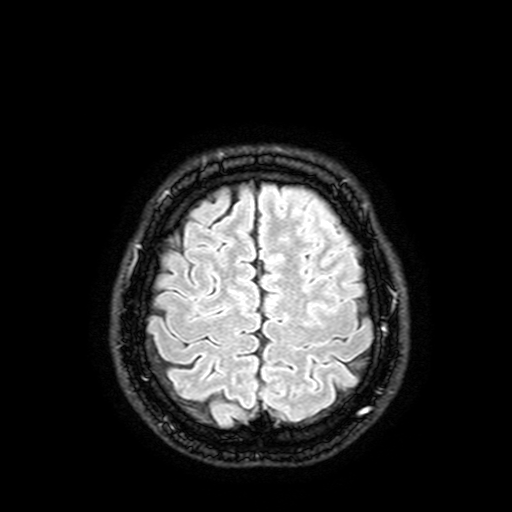
Case:
• modality · 3 Tesla brain MRI
• series · FLAIR with SPAIR, 3 mm
• study · ring-enhancing brain masses